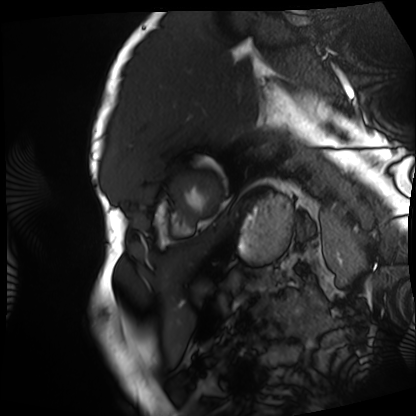
Cardiac MRI.
Subject group: patient.